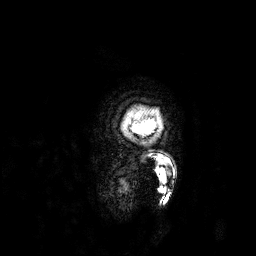
Case:
- modality · 3 Tesla brain MRI
- series · 3D T1-weighted
- study · ring-enhancing brain masses